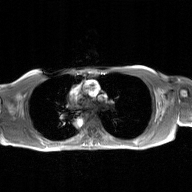
2D phase-contrast cine MRI of the ascending aorta, GAN super-resolution reconstruction.